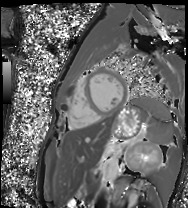
{"modality": "cardiac MR image of the myocardium", "cohort": "healthy volunteer"}